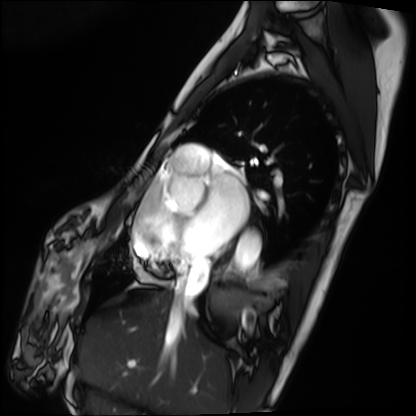
Cardiac MRI.
Subject group: patient.